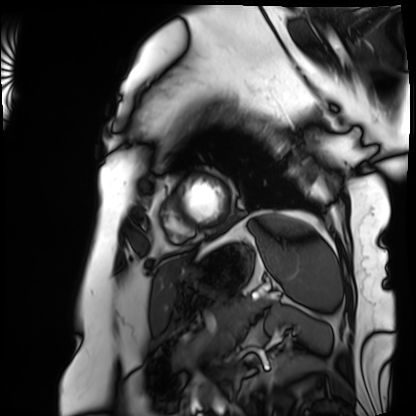
{
  "modality": "cardiac MRI",
  "cohort": "patient"
}